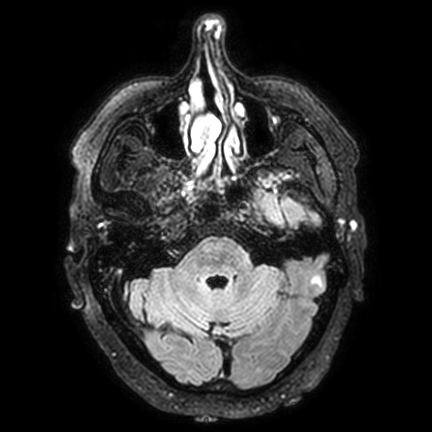
3 Tesla brain MRI. Series: FLAIR VISTA with SENSE. Study: ring-enhancing brain masses.